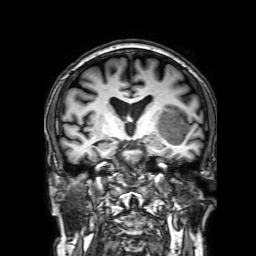
modality=3 Tesla brain MRI | series=3D T1-weighted with SENSE | study=ring-enhancing brain masses.